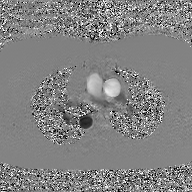
Case summary: 2D phase-contrast cine MRI of the ascending aorta, GAN super-resolution reconstruction.